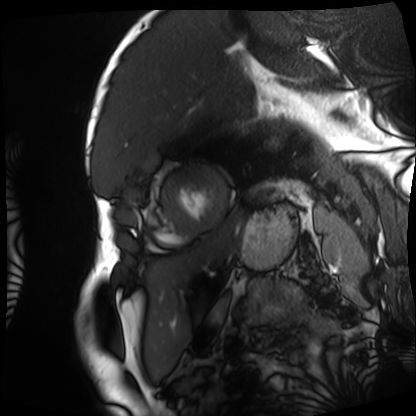
{"modality": "cardiac MRI", "cohort": "patient"}